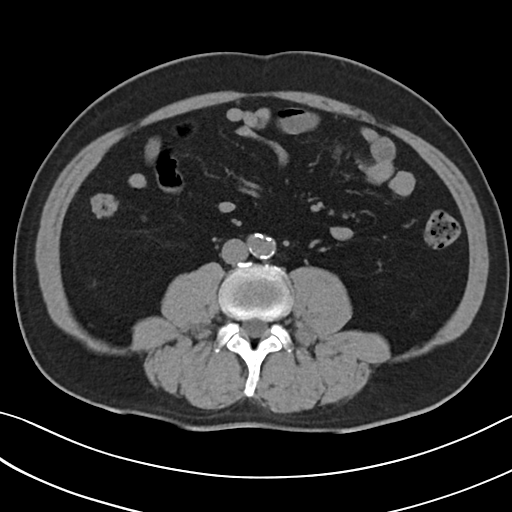
modality = multiphase abdominal CT, liver, non-contrast phase
patient = male, age 53